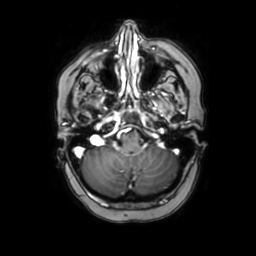
modality:
  type: brain MRI
  field_strength: 3T
series: axial with contrast
study_topic: ring-enhancing brain masses